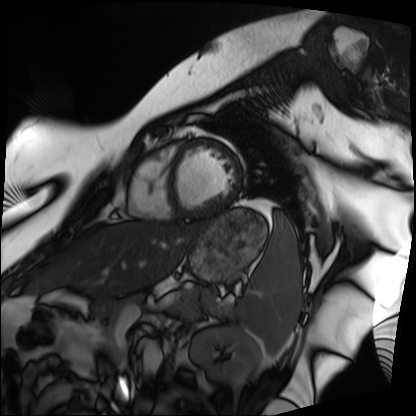
Q: What kind of scan is this?
A: Cardiac MRI.
Subject group: patient.